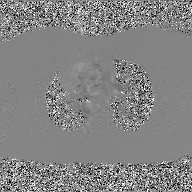
| field | value |
|---|---|
| modality | 2D phase-contrast cine MRI of the ascending aorta, GAN super-resolution reconstruction |